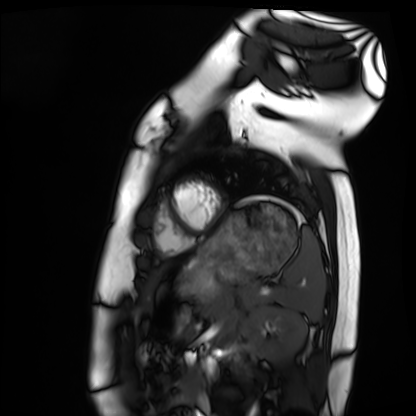
Clinical context: Cardiac MRI. Subject group: healthy volunteer.